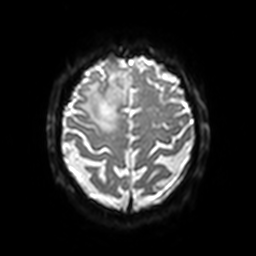
<record>
<modality>
  <type>brain MRI</type>
  <field_strength>3T</field_strength>
</modality>
<series>diffusion-weighted imaging with SENSE (WIP)</series>
<study_topic>ring-enhancing brain masses</study_topic>
</record>